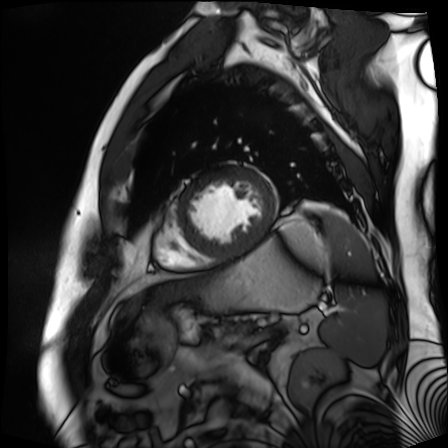
modality: cardiac MR image of the myocardium; subject cohort: cardiac patient.